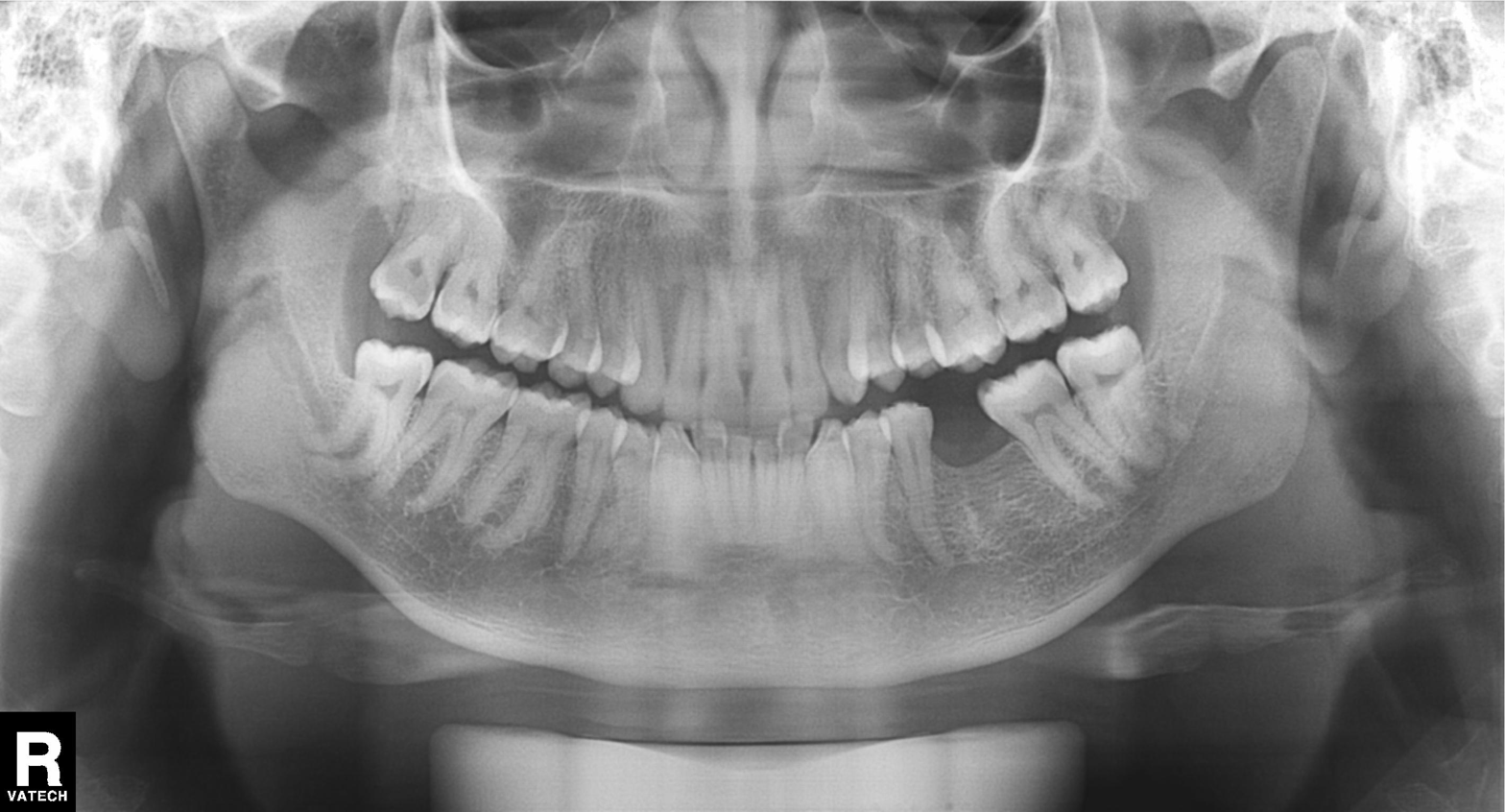
Q: What kind of scan is this?
A: Panoramic dental radiograph (orthopantomogram).
Q: What is the radiographic finding?
A: Tooth impaction.